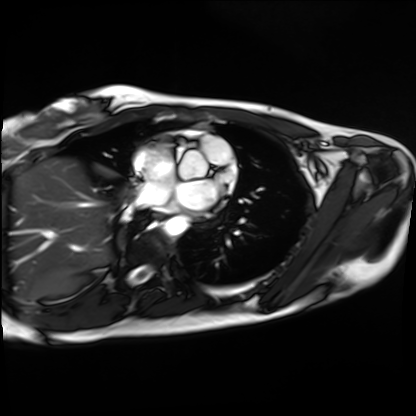
Cardiac MRI. Subject group: healthy volunteer.